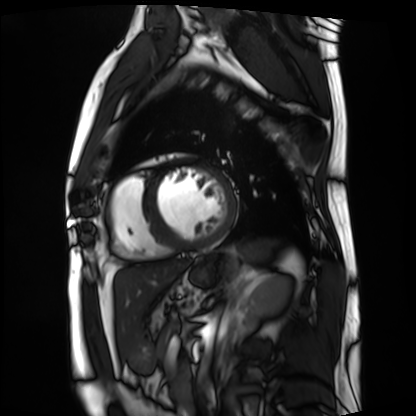
• modality · cardiac MRI
• subject group · patient